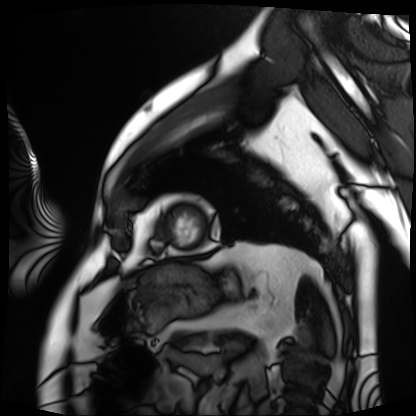
Cardiac MRI. Subject group: patient.